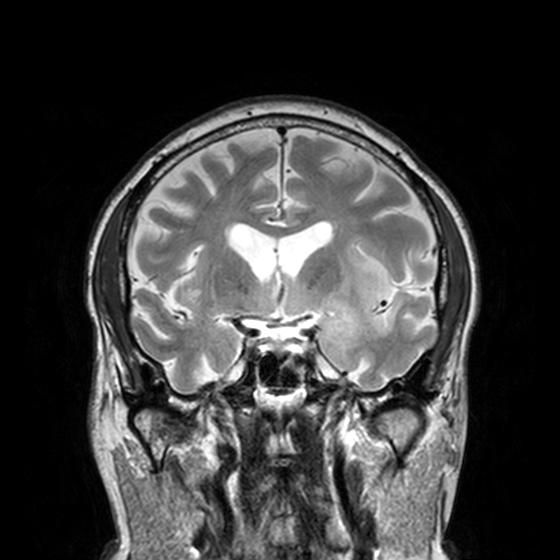
3 Tesla brain MRI. Series: T2-weighted turbo spin echo, 3 mm. Study: ring-enhancing brain masses.